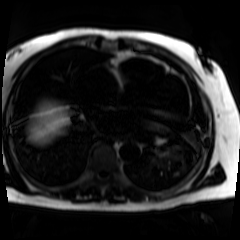
Case:
– modality: chemical-shift-encoded cardiac MRI